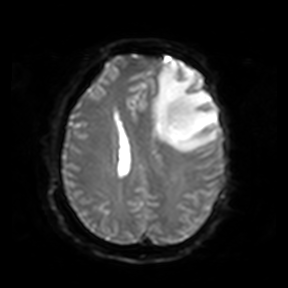
modality: 3 Tesla brain MRI; series: diffusion-weighted imaging; study: ring-enhancing brain masses.